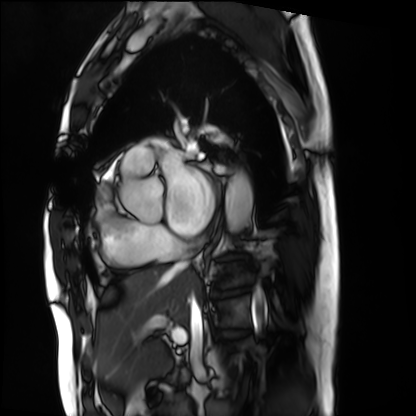
Cardiac MRI. Subject group: patient.